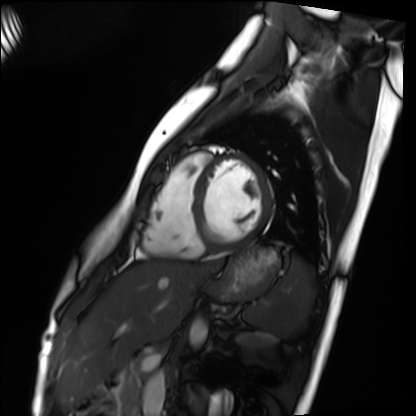
modality — cardiac MRI; subject group — healthy volunteer.